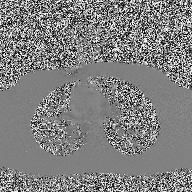
2D phase-contrast cine MRI of the ascending aorta, high-resolution GRAPPA acquisition.